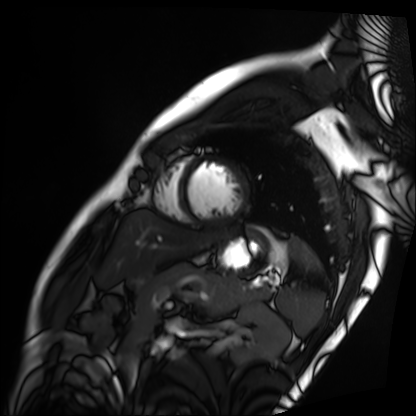
Summary:
Cardiac MRI. Subject group: patient.